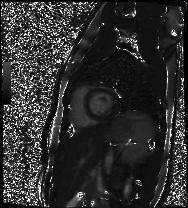
{
  "modality": "cardiac MR image of the myocardium",
  "cohort": "healthy volunteer"
}